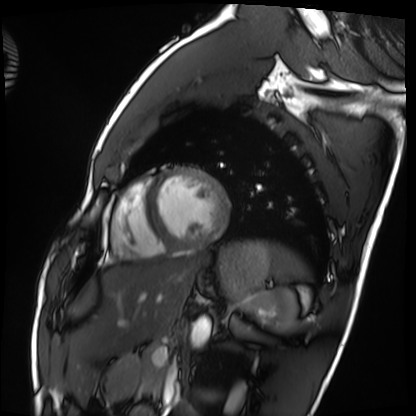
{
  "modality": "cardiac MRI",
  "cohort": "healthy volunteer"
}